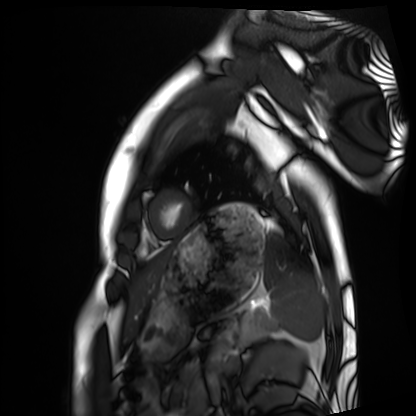
<scan>
  <modality>cardiac MRI</modality>
  <cohort>healthy volunteer</cohort>
</scan>